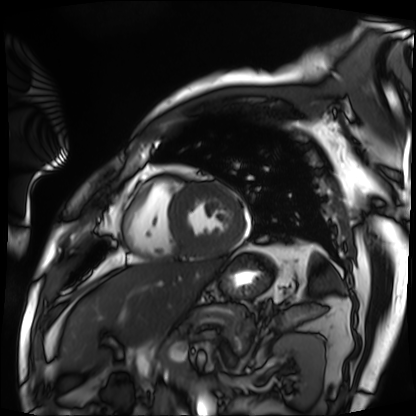
modality = cardiac MRI, subject group = patient.